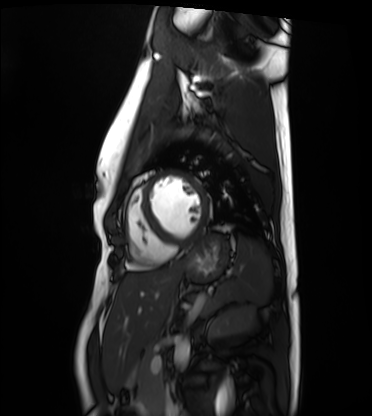
| field | value |
|---|---|
| modality | cardiac MRI |
| subject group | healthy volunteer |